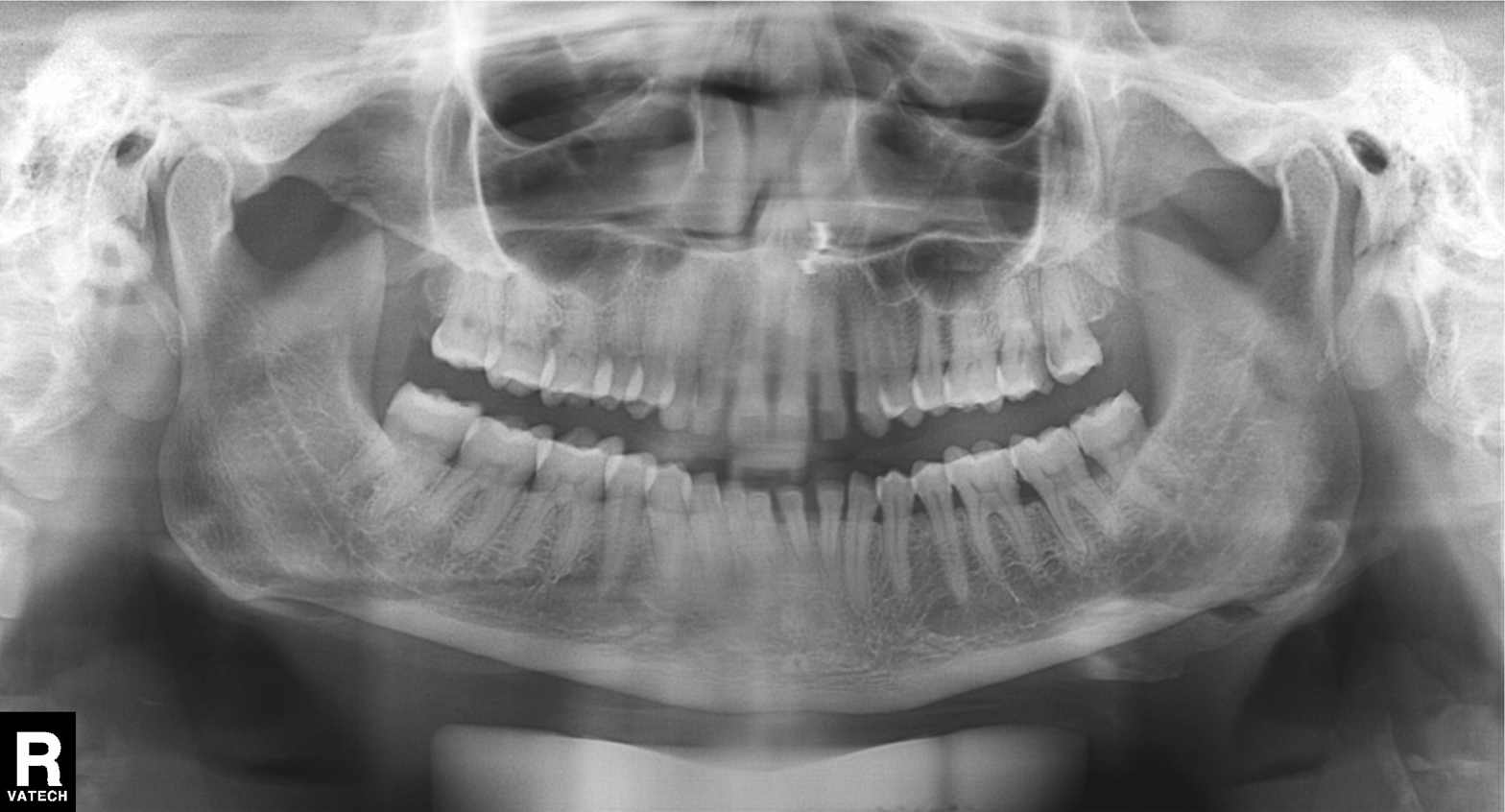
modality: panoramic dental radiograph (orthopantomogram)
finding: dental caries (cavities)